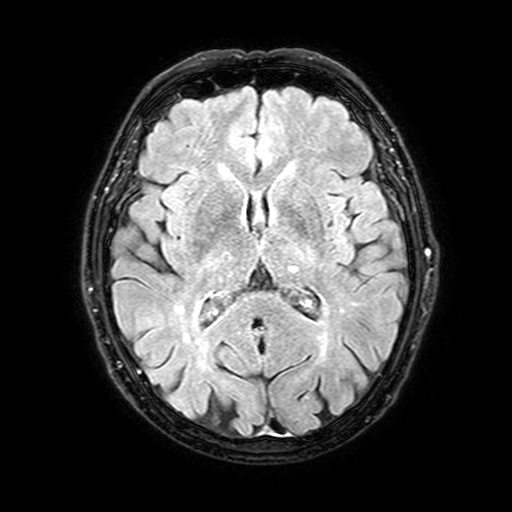
3 Tesla brain MRI.
Series: FLAIR with SPAIR, 3 mm.
Study: ring-enhancing brain masses.